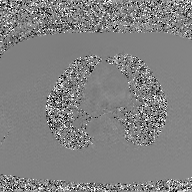
2D phase-contrast cine MRI of the ascending aorta, GAN super-resolution reconstruction.